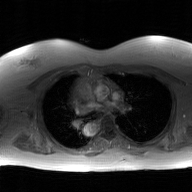
modality — 2D phase-contrast cine MRI of the ascending aorta, GAN super-resolution reconstruction.